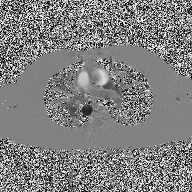
{
  "modality": {
    "type": "2D phase-contrast cine MRI",
    "region": "ascending aorta",
    "reconstruction": "high-resolution GRAPPA acquisition"
  }
}